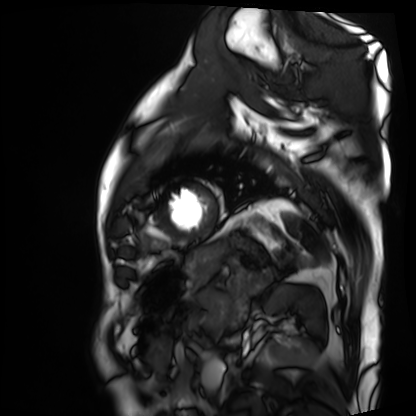
Q: What kind of scan is this?
A: Cardiac MRI.
Subject group: patient.